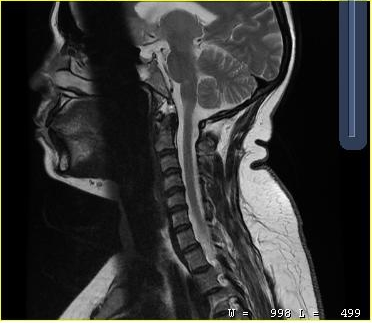
Summary: MRI of the cervical spine. Study: cervical spondylosis.